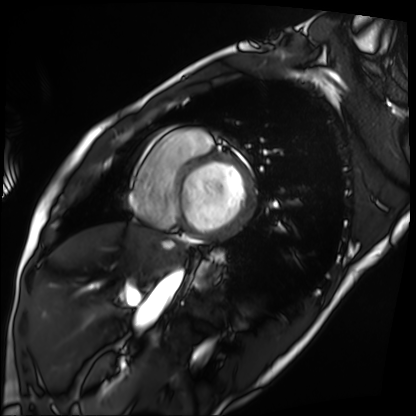
• modality: cardiac MRI
• subject group: patient